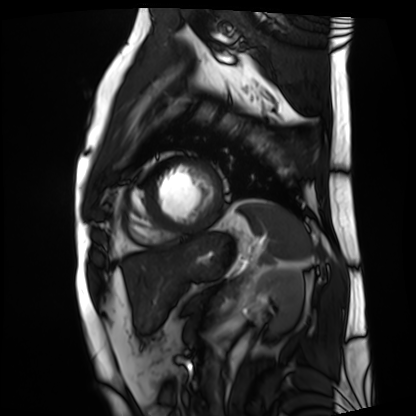
modality: cardiac MRI | subject group: patient.